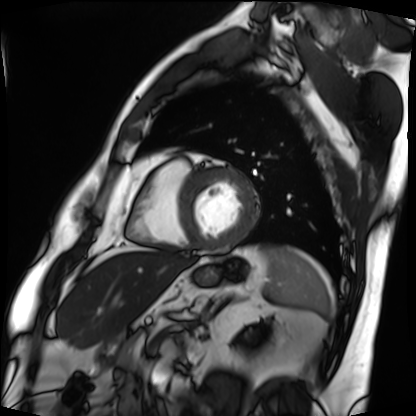
Cardiac MRI. Subject group: patient.